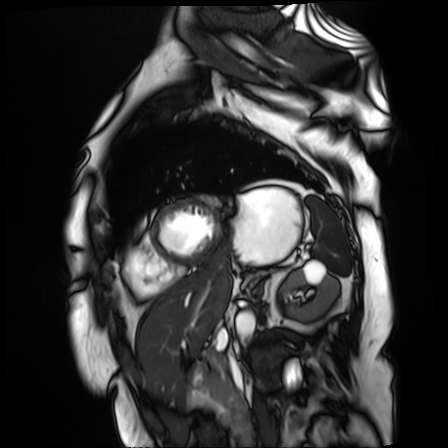
Q: What kind of scan is this?
A: Cardiac MR image of the myocardium.
Subject cohort: cardiac patient.